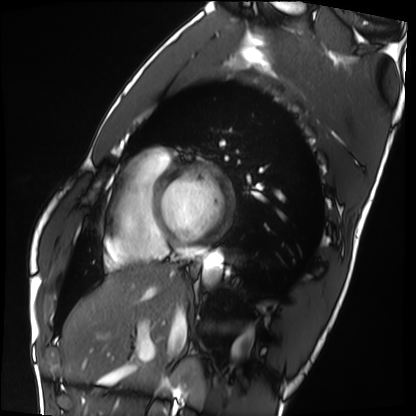
modality = cardiac MRI, subject group = healthy volunteer.